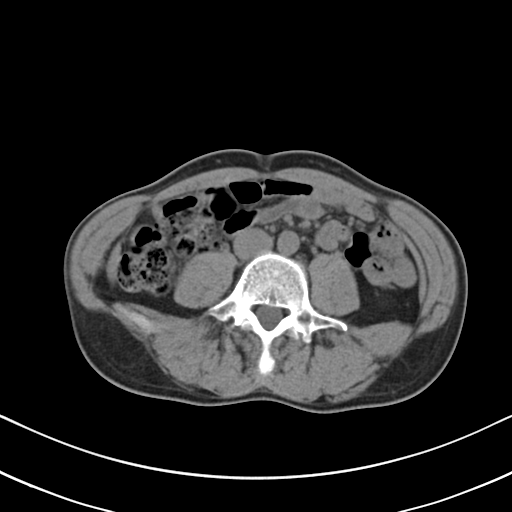
<scan>
<modality>
  <type>multiphase abdominal CT</type>
  <region>liver</region>
  <phase>non-contrast</phase>
</modality>
<patient>
  <sex>male</sex>
  <age>46</age>
</patient>
<history>viral hepatitis</history>
</scan>